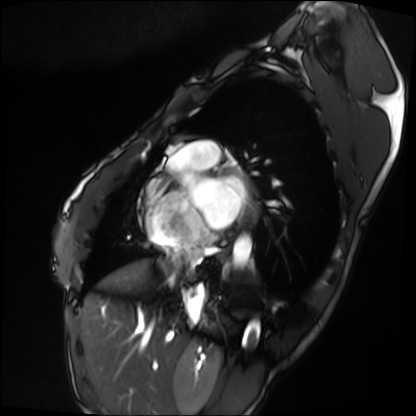
Case summary: Cardiac MRI. Subject group: patient.